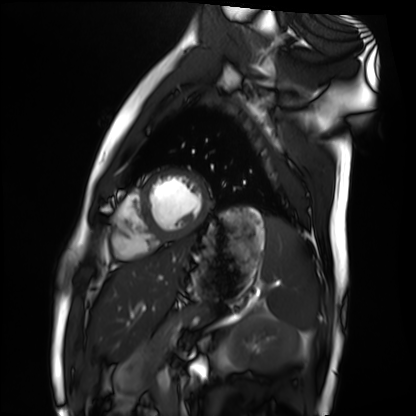
modality — cardiac MRI | subject group — healthy volunteer.